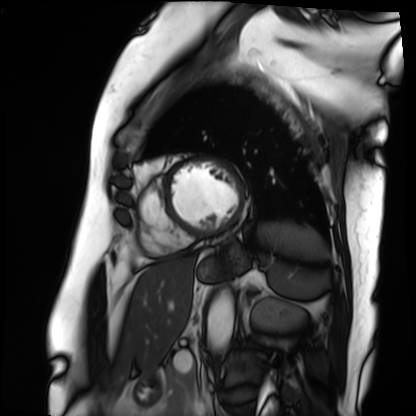
Cardiac MRI.
Subject group: patient.